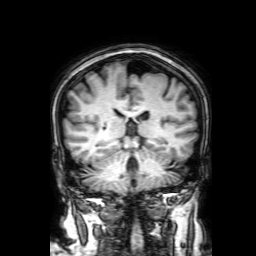
3 Tesla brain MRI.
Series: 3D T1-weighted with SENSE.
Study: ring-enhancing brain masses.